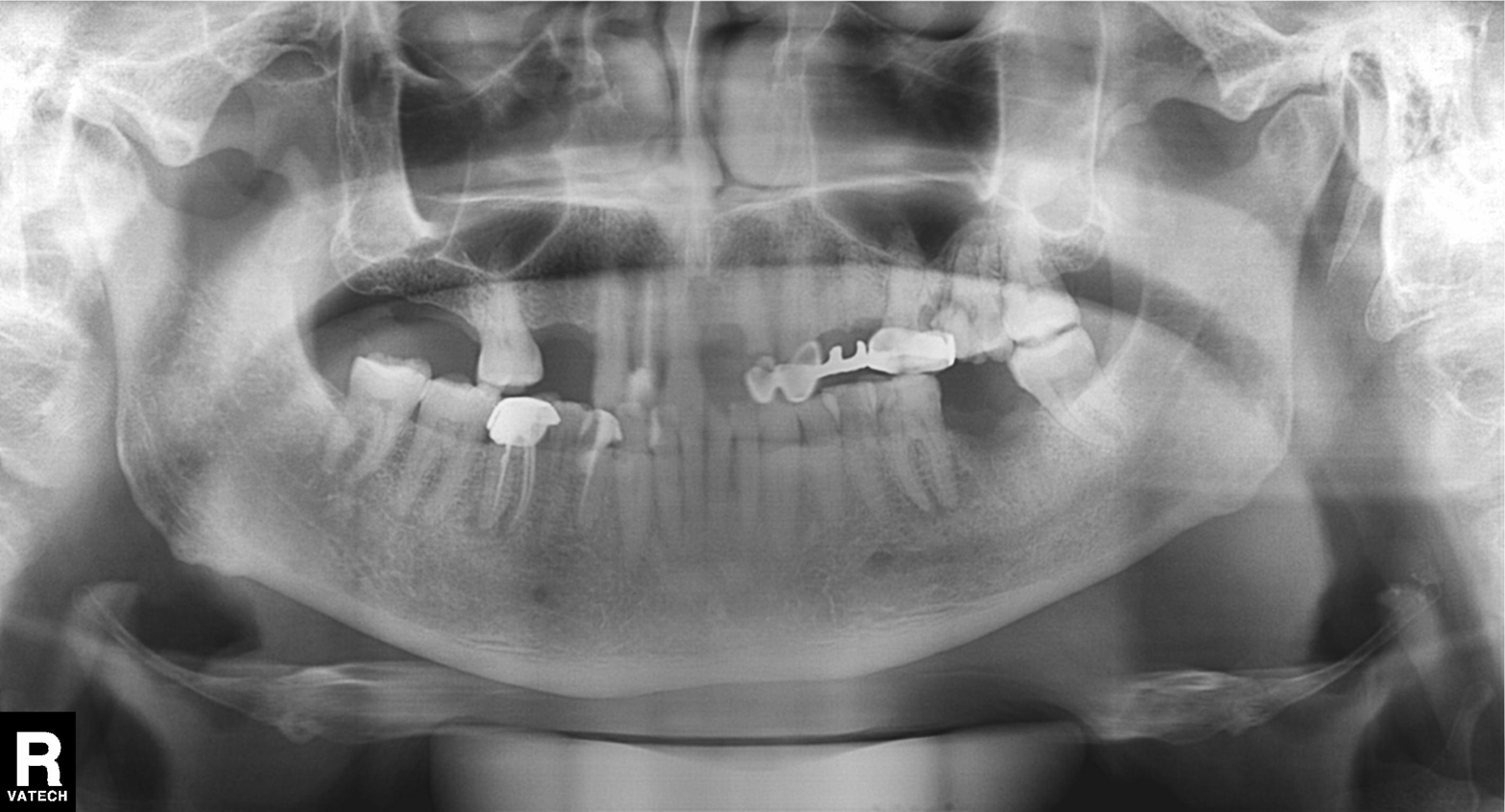
Findings:
* modality · panoramic dental radiograph (orthopantomogram)
* finding · dental caries (cavities)